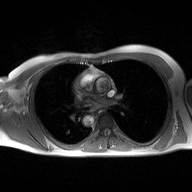
modality: 2D phase-contrast cine MRI of the ascending aorta